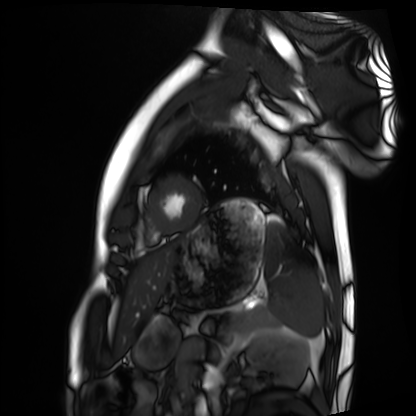
modality = cardiac MRI, subject group = healthy volunteer.